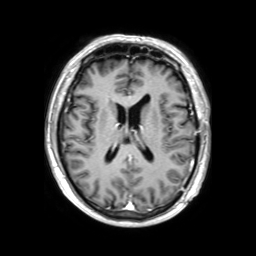
Summary:
3 Tesla brain MRI. Study: ring-enhancing brain masses.